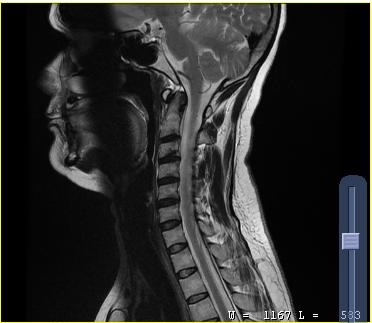
MRI of the cervical spine.
Study: cervical spondylosis.